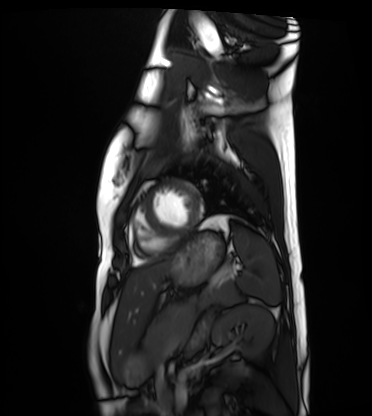
modality = cardiac MRI | subject group = healthy volunteer.